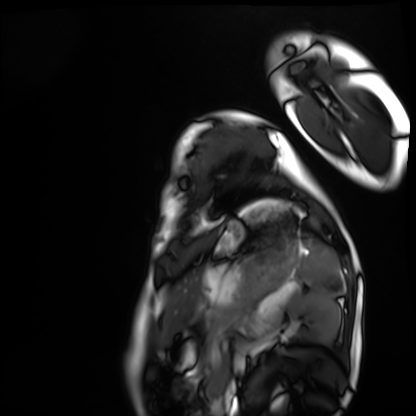
modality: cardiac MRI
subject group: healthy volunteer